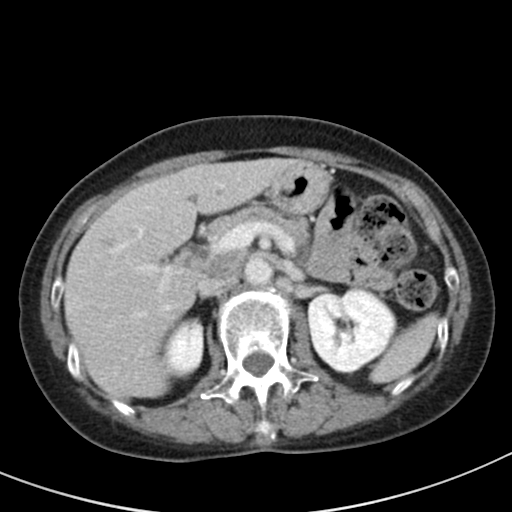
Multiphase abdominal CT, liver, delayed phase.
Patient: female, age 64.
History: prior chemotherapy.